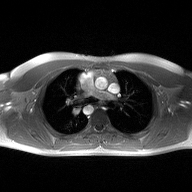
Summary: 2D phase-contrast cine MRI of the ascending aorta, high-resolution GRAPPA acquisition.